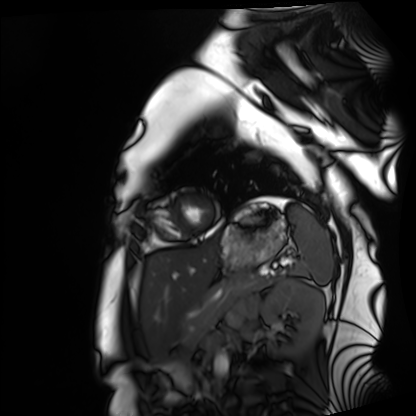
Cardiac MRI. Subject group: healthy volunteer.